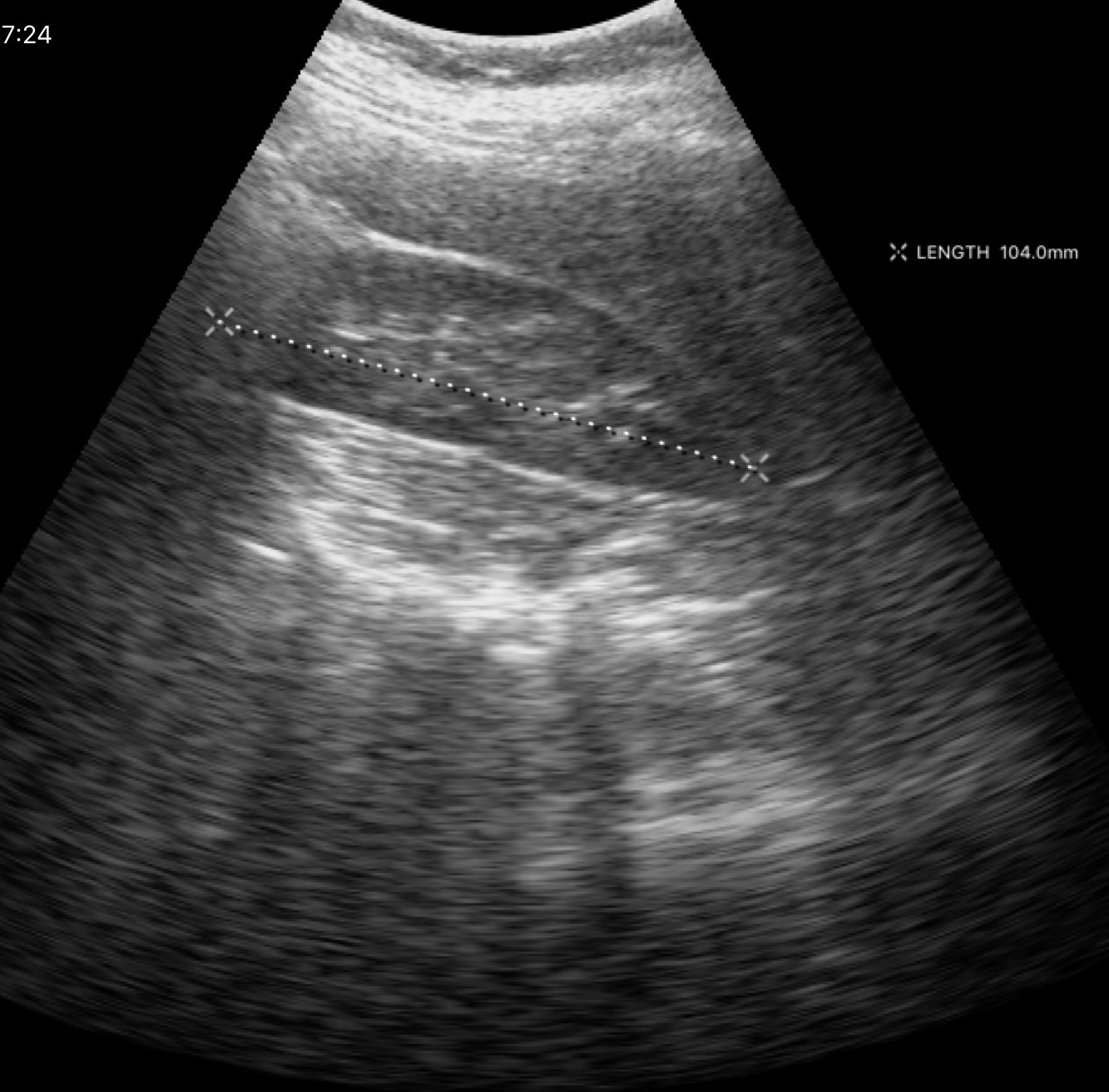
Genitourinary ultrasound.